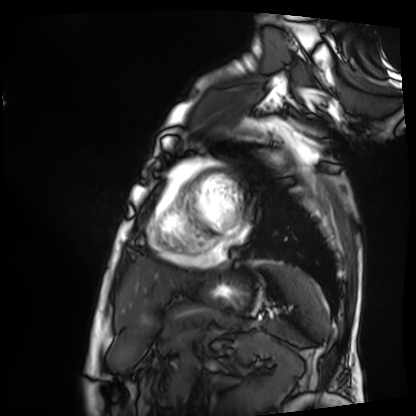
Summary:
Cardiac MRI. Subject group: patient.